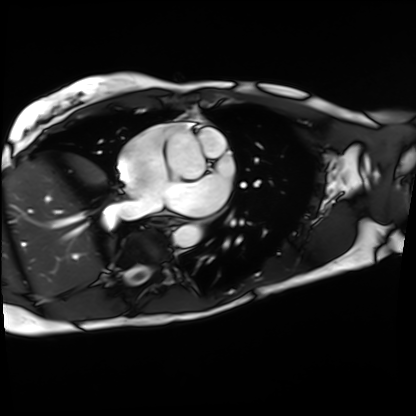
Q: What kind of scan is this?
A: Cardiac MRI.
Subject group: patient.